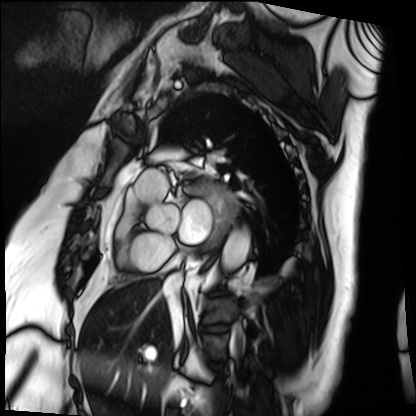
Cardiac MRI. Subject group: patient.